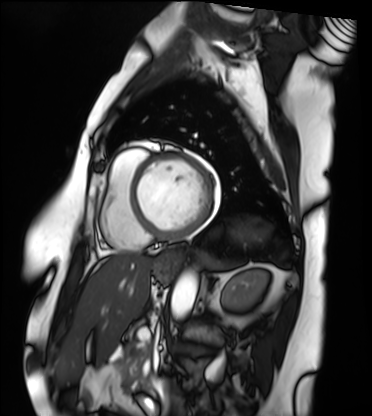
Q: What kind of scan is this?
A: Cardiac MRI.
Subject group: patient.